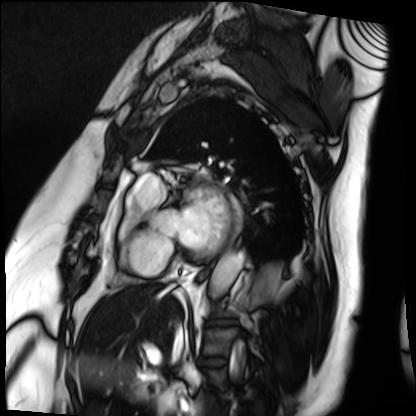
Cardiac MRI. Subject group: patient.